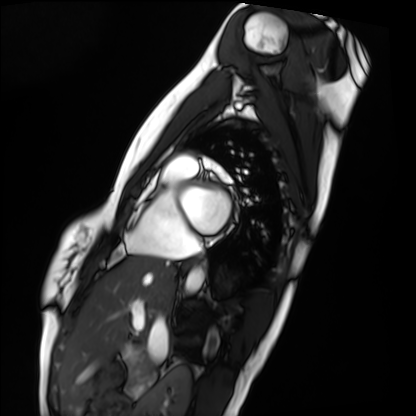
• modality: cardiac MRI
• subject group: healthy volunteer